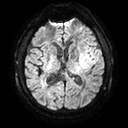
<record>
<modality>
  <type>brain MRI</type>
  <field_strength>3T</field_strength>
</modality>
<series>diffusion tensor imaging (medium iso)</series>
<study_topic>ring-enhancing brain masses</study_topic>
</record>